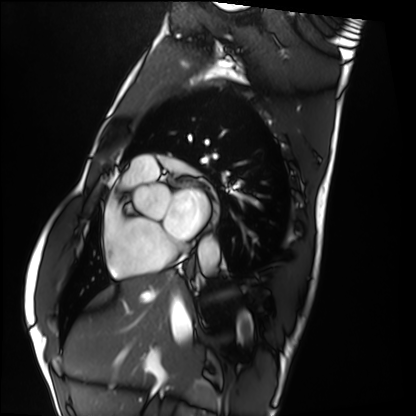
Summary: Cardiac MRI. Subject group: healthy volunteer.